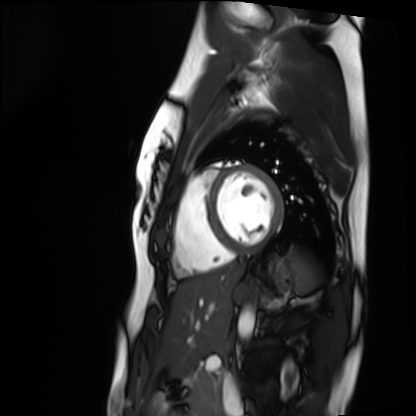
{
  "modality": "cardiac MRI",
  "cohort": "healthy volunteer"
}